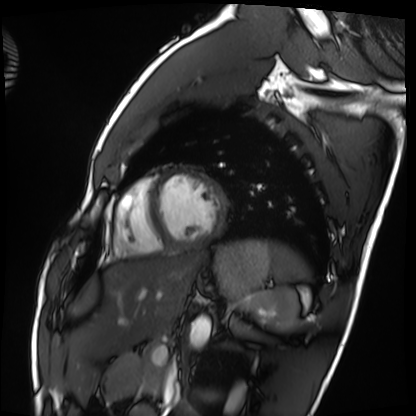
• modality · cardiac MRI
• subject group · healthy volunteer